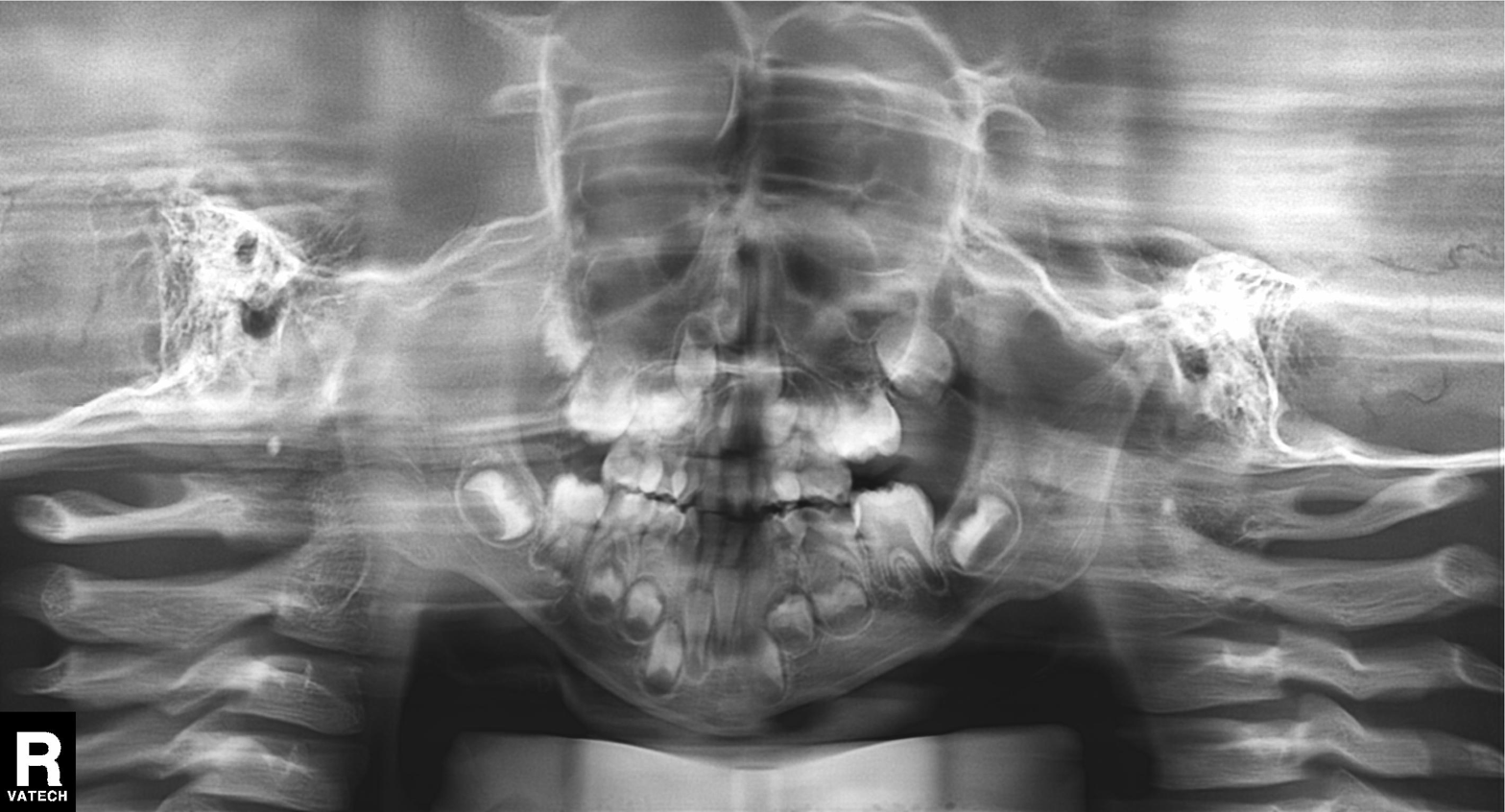
modality: panoramic dental radiograph (orthopantomogram); finding: alveolar bone loss.